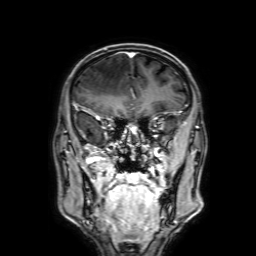
3 Tesla brain MRI. Series: 3D T1-weighted with SENSE. Study: ring-enhancing brain masses.